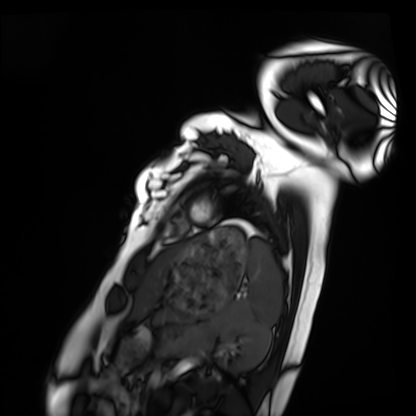
modality: cardiac MRI, subject group: healthy volunteer.